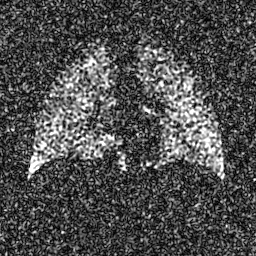
Summary:
Hyperpolarized 129Xe ventilation MRI of the lungs.